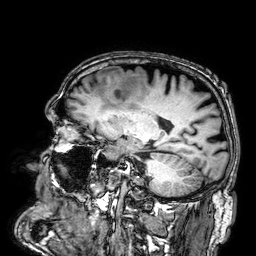
3 Tesla brain MRI. Series: 3D T1-weighted. Study: ring-enhancing brain masses.